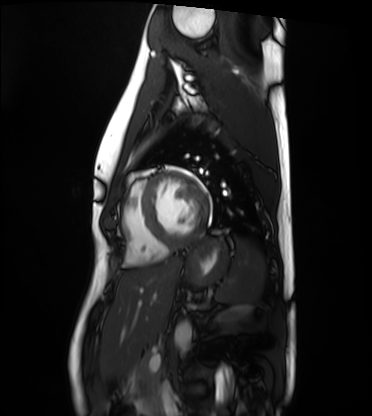
Cardiac MRI. Subject group: healthy volunteer.